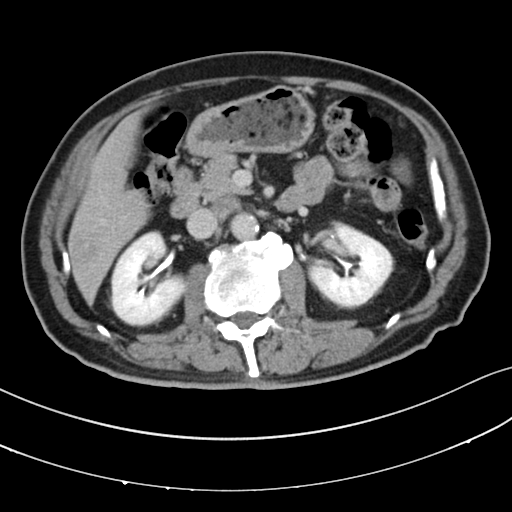
Multiphase abdominal CT, liver, delayed phase. Patient: male, age 64.